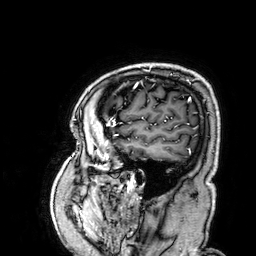
Summary:
3 Tesla brain MRI. Series: 3D T1-weighted. Study: ring-enhancing brain masses.